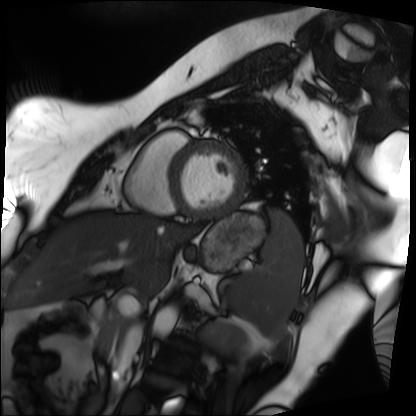
modality: cardiac MRI
subject group: patient